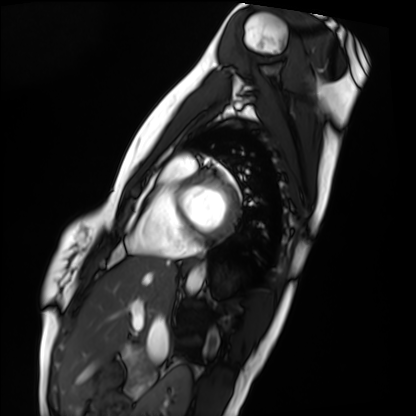
Case summary:
Cardiac MRI. Subject group: healthy volunteer.